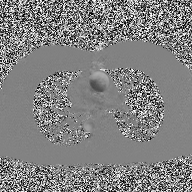
Case summary: 2D phase-contrast cine MRI of the ascending aorta, high-resolution GRAPPA acquisition.